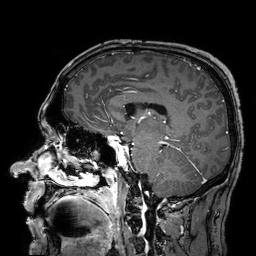
Q: What kind of scan is this?
A: 3 Tesla brain MRI.
Study: ring-enhancing brain masses.